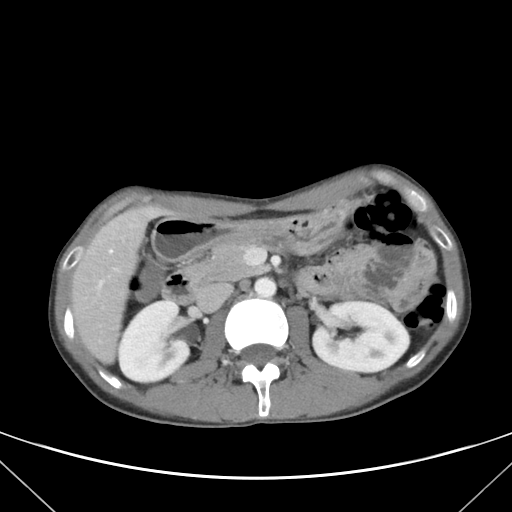
Multiphase abdominal CT, liver, portal venous phase. Patient: male, age 38.